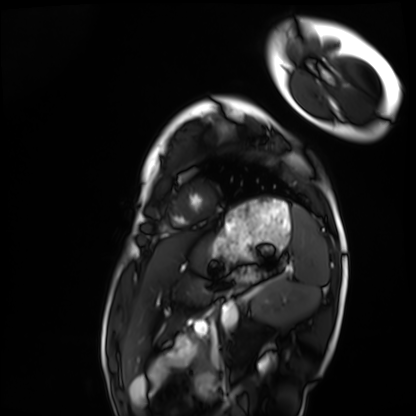
{
  "modality": "cardiac MRI",
  "cohort": "healthy volunteer"
}